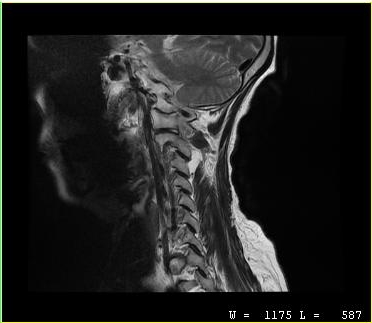
{
  "modality": {
    "type": "cervical spine MRI"
  },
  "study_topic": "cervical spondylosis"
}